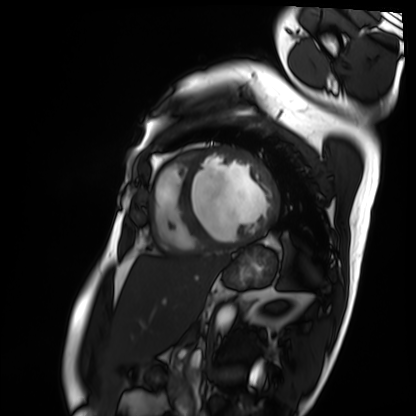
Case summary:
Cardiac MRI. Subject group: patient.